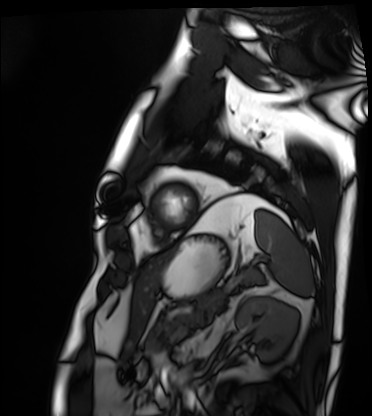
| field | value |
|---|---|
| modality | cardiac MRI |
| subject group | patient |